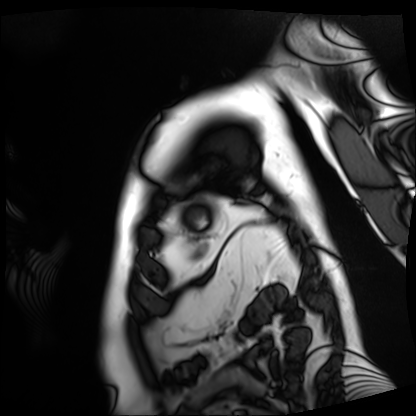
Cardiac MRI.
Subject group: patient.